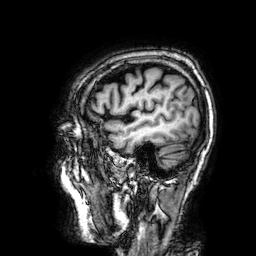
Summary:
3 Tesla brain MRI. Series: 3D T1-weighted. Study: ring-enhancing brain masses.